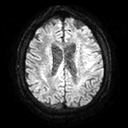
{
  "modality": {
    "type": "brain MRI",
    "field_strength": "3T"
  },
  "series": "diffusion tensor imaging (medium iso)",
  "study_topic": "ring-enhancing brain masses"
}